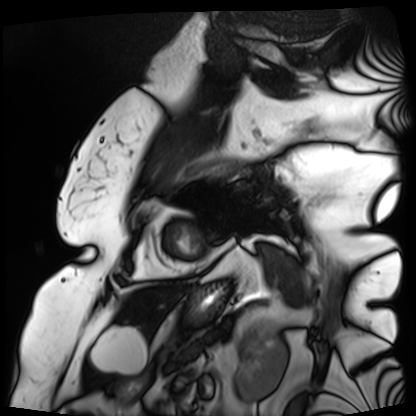
• modality · cardiac MRI
• subject group · patient